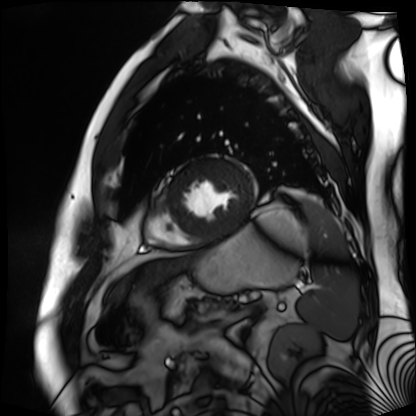
Cardiac MR image of the myocardium.
Subject cohort: cardiac patient.